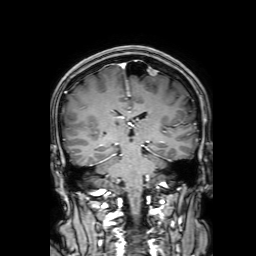
– modality: 3 Tesla brain MRI
– series: 3D T1-weighted with SENSE
– study: ring-enhancing brain masses